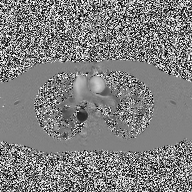
2D phase-contrast cine MRI of the ascending aorta, high-resolution GRAPPA acquisition.